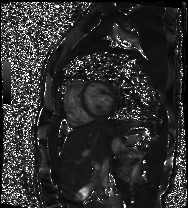
Cardiac MR image of the myocardium. Subject cohort: healthy volunteer.